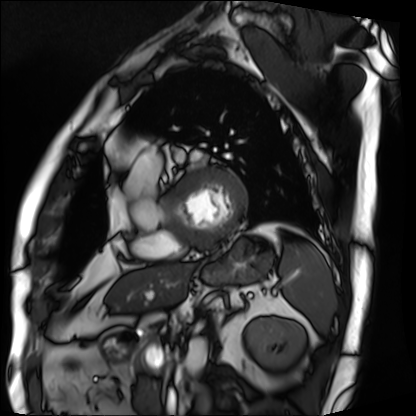
modality = cardiac MRI, subject group = patient.